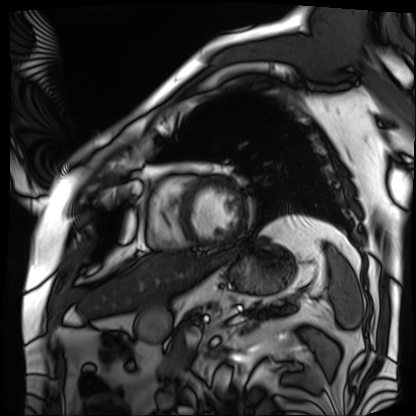
  modality: cardiac MRI
  cohort: patient